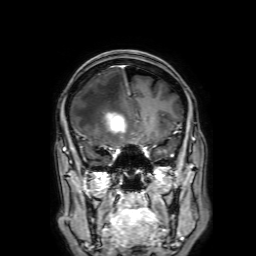
modality = 3 Tesla brain MRI | series = 3D T1-weighted with SENSE | study = ring-enhancing brain masses.